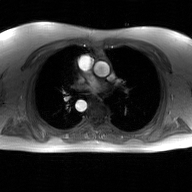
Summary:
2D phase-contrast cine MRI of the ascending aorta, GAN super-resolution reconstruction.